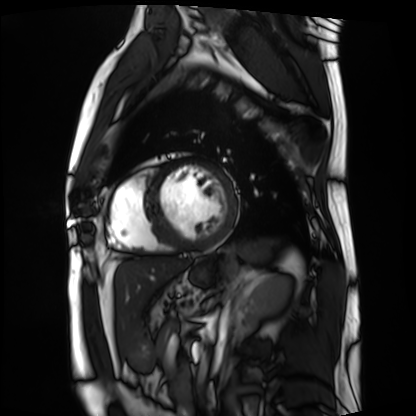
{"modality": "cardiac MRI", "cohort": "patient"}